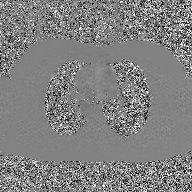
modality = 2D phase-contrast cine MRI of the ascending aorta, GAN super-resolution reconstruction.